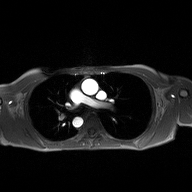
2D phase-contrast cine MRI of the ascending aorta, high-resolution GRAPPA acquisition.